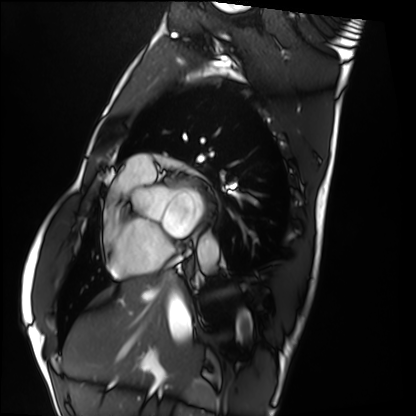
Q: What kind of scan is this?
A: Cardiac MRI.
Subject group: healthy volunteer.